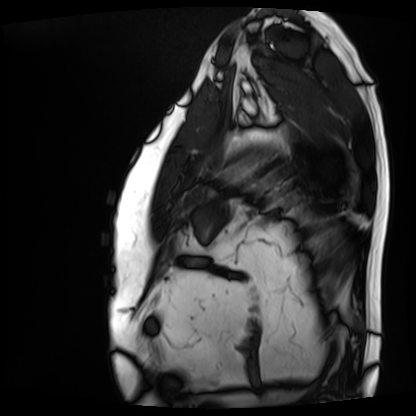
{"modality": "cardiac MRI", "cohort": "patient"}